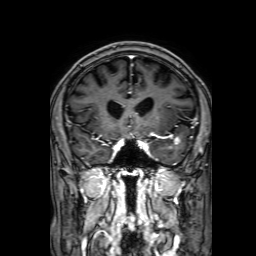
3 Tesla brain MRI. Series: 3D T1-weighted with SENSE. Study: ring-enhancing brain masses.